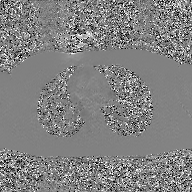
Q: What kind of scan is this?
A: 2D phase-contrast cine MRI of the ascending aorta, GAN super-resolution reconstruction.